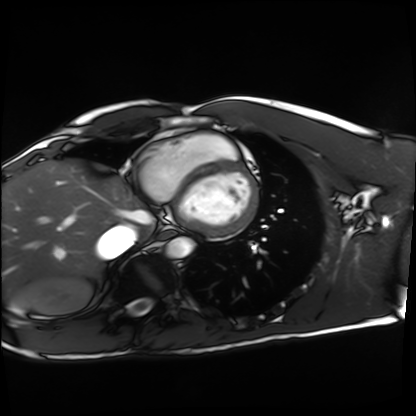
Cardiac MRI.
Subject group: healthy volunteer.